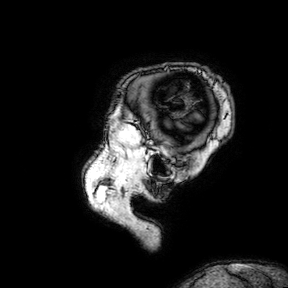
3 Tesla brain MRI.
Series: 3D T1-weighted turbo field echo with SENSE.
Study: ring-enhancing brain masses.